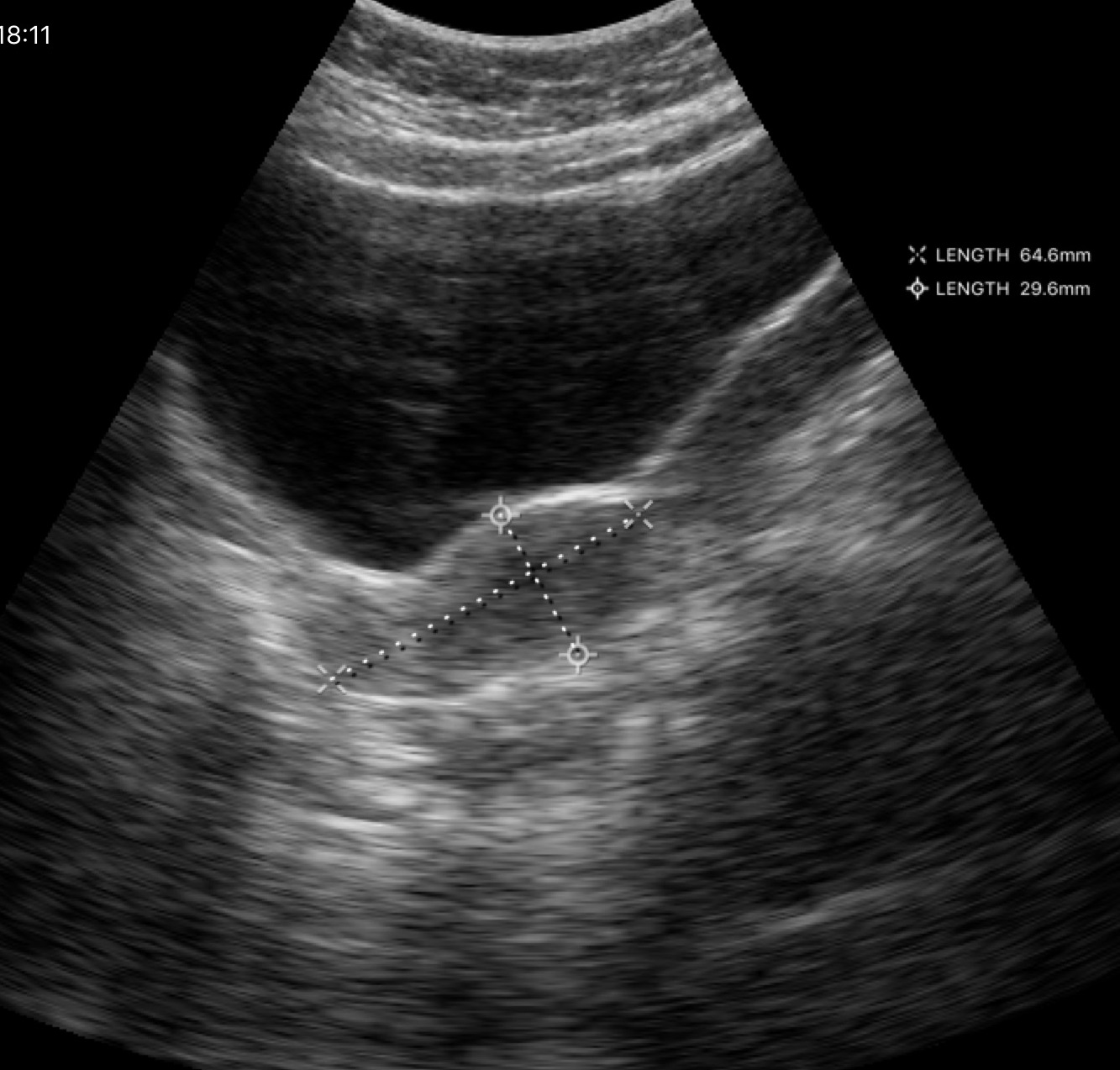
modality — genitourinary ultrasound.